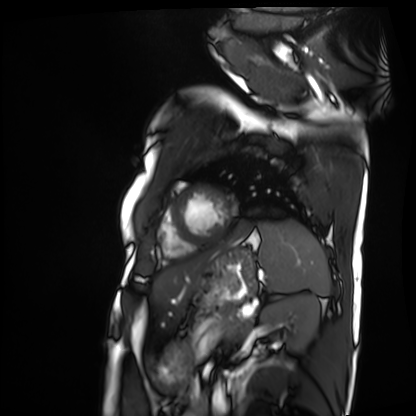
modality = cardiac MRI
subject group = patient